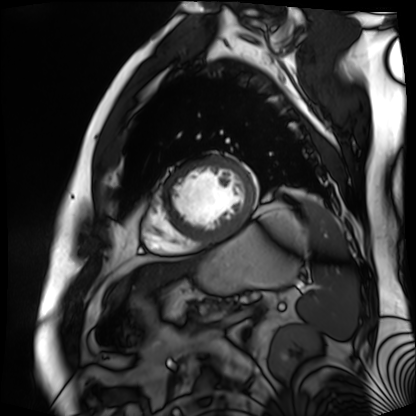
<case>
<modality>cardiac MR image of the myocardium</modality>
<cohort>cardiac patient</cohort>
</case>